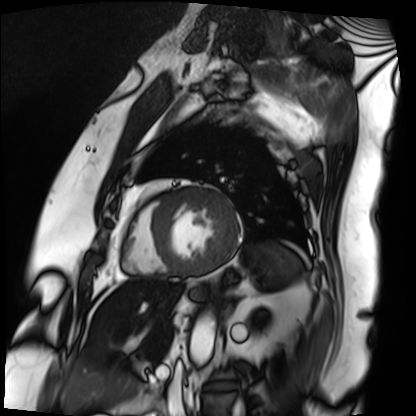
Case summary: Cardiac MRI. Subject group: patient.